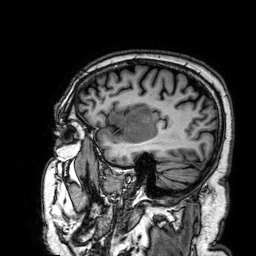
– modality: 3 Tesla brain MRI
– series: 3D T1-weighted
– study: ring-enhancing brain masses